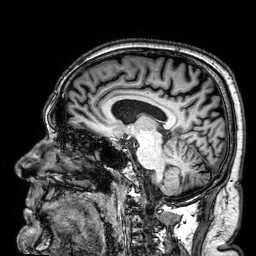
Q: What kind of scan is this?
A: 3 Tesla brain MRI.
Study: ring-enhancing brain masses.